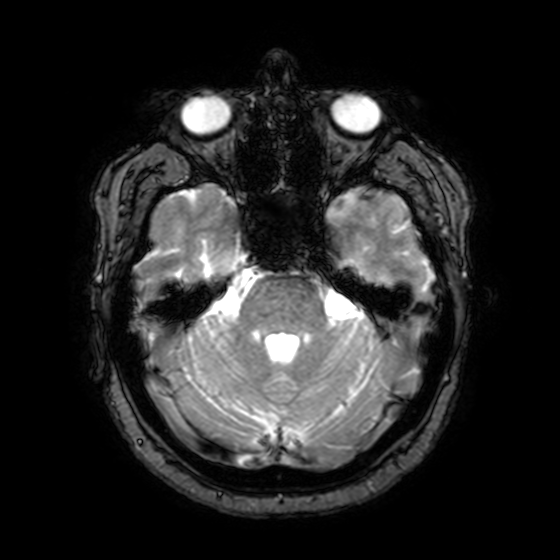
Summary: 3 Tesla brain MRI. Series: T2-weighted fast field echo with SENSE. Study: ring-enhancing brain masses.